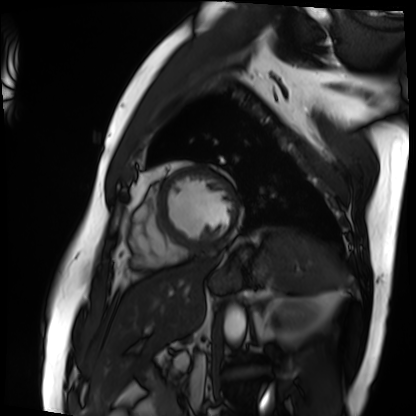
Cardiac MRI.
Subject group: patient.